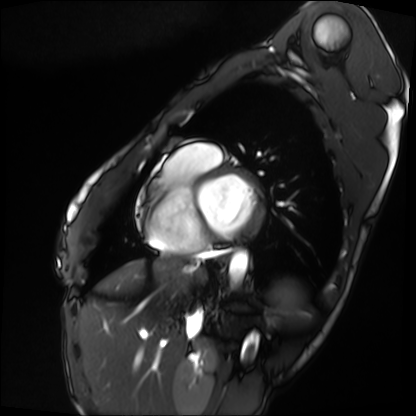
Summary:
Cardiac MRI. Subject group: patient.